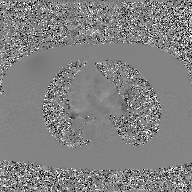
{"modality": {"type": "2D phase-contrast cine MRI", "region": "ascending aorta", "reconstruction": "GAN super-resolution reconstruction"}}